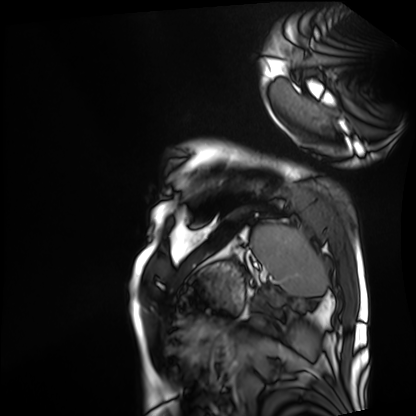
<study>
<modality>cardiac MRI</modality>
<cohort>patient</cohort>
</study>